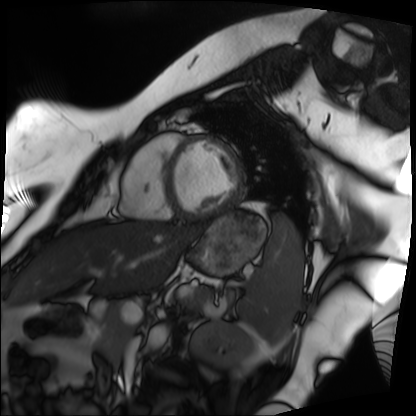
modality — cardiac MRI
subject group — patient